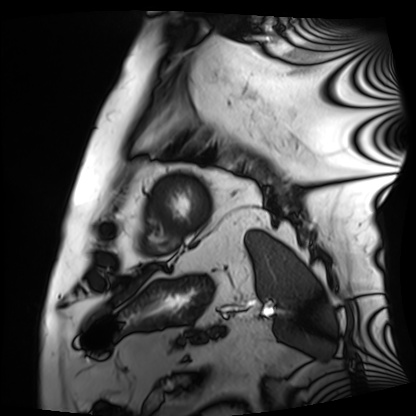
• modality — cardiac MRI
• subject group — patient